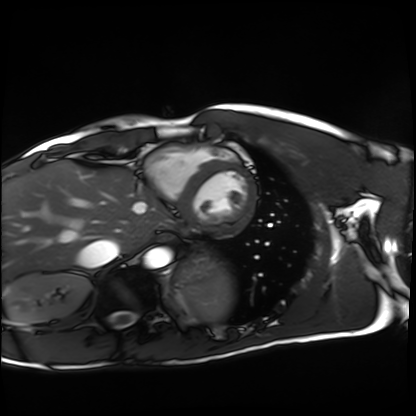
{"modality": "cardiac MRI", "cohort": "healthy volunteer"}